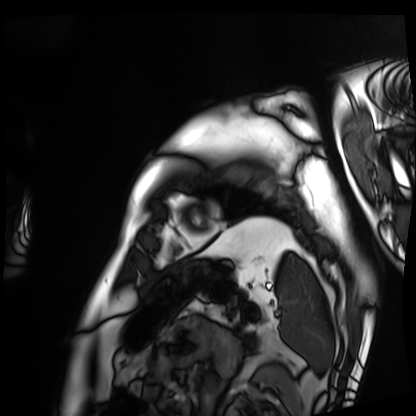
Case:
- modality · cardiac MRI
- subject group · patient